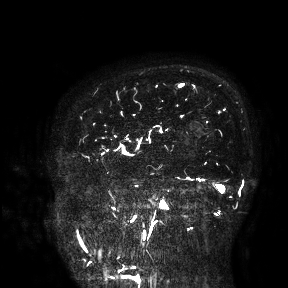
3 Tesla brain MRI.
Study: ring-enhancing brain masses.